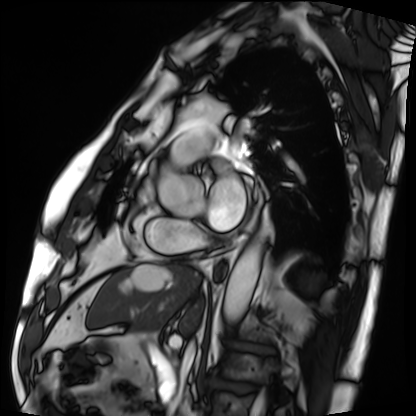
Q: What kind of scan is this?
A: Cardiac MRI.
Subject group: patient.